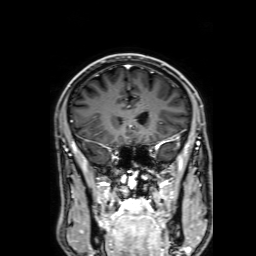
3 Tesla brain MRI. Series: 3D T1-weighted with SENSE. Study: ring-enhancing brain masses.